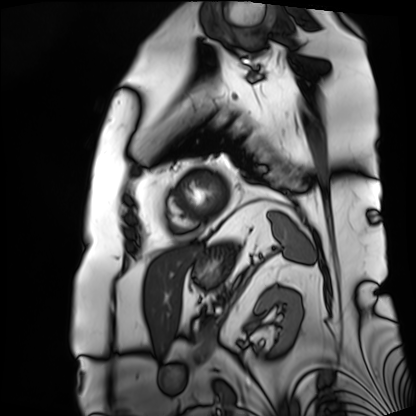
Summary: Cardiac MRI. Subject group: patient.